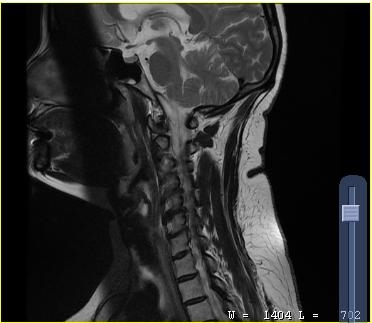
MRI of the cervical spine.
Study: cervical spondylosis.